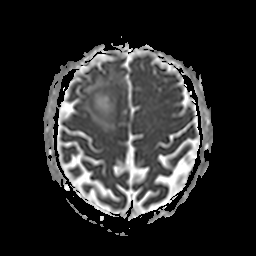
Case summary: 3 Tesla brain MRI. Series: apparent diffusion coefficient (ADC) map. Study: ring-enhancing brain masses.